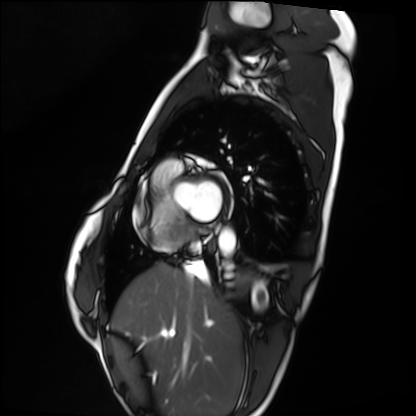
- modality: cardiac MRI
- subject group: healthy volunteer